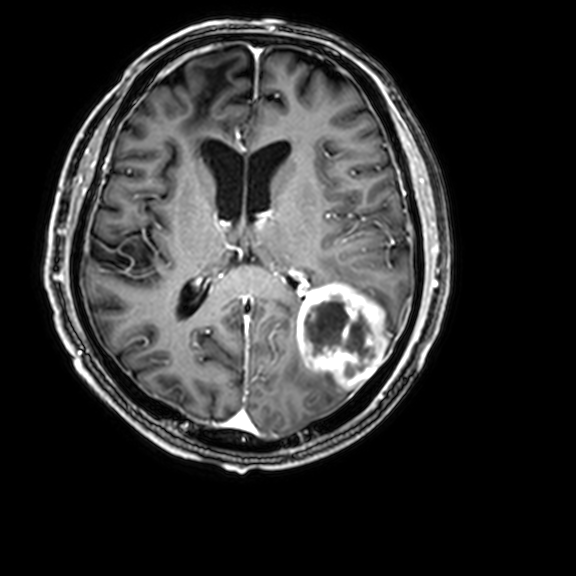
Q: What kind of scan is this?
A: 3 Tesla brain MRI.
Q: Series?
A: 3D T1-weighted with CLEAR.
Study: ring-enhancing brain masses.